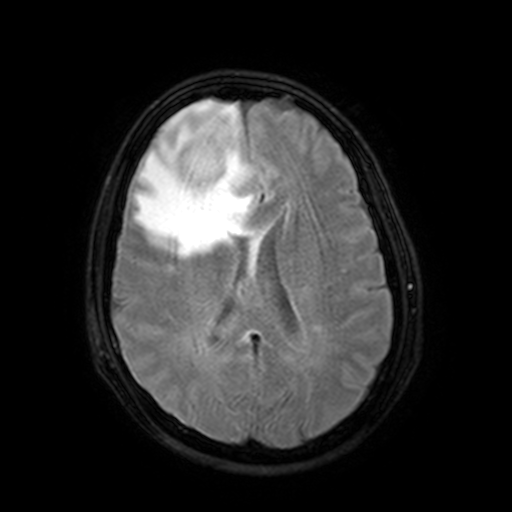
Case:
• modality · 3 Tesla brain MRI
• study · ring-enhancing brain masses